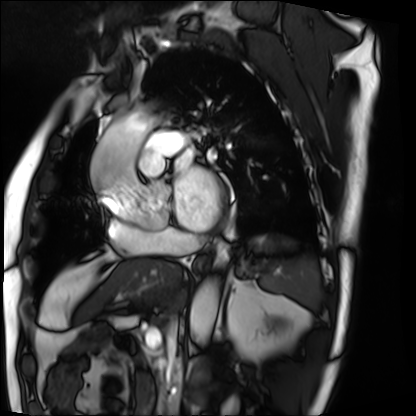
modality = cardiac MRI; subject group = patient.